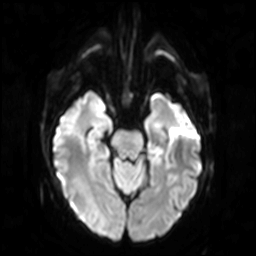
3 Tesla brain MRI.
Study: ring-enhancing brain masses.